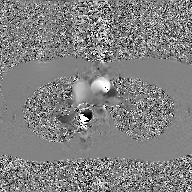
2D phase-contrast cine MRI of the ascending aorta, GAN super-resolution reconstruction.